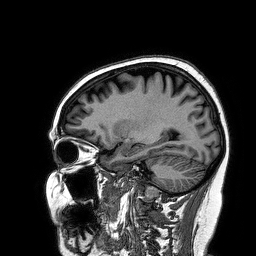
Summary:
3 Tesla brain MRI. Series: 3D T1-weighted turbo field echo. Study: ring-enhancing brain masses.